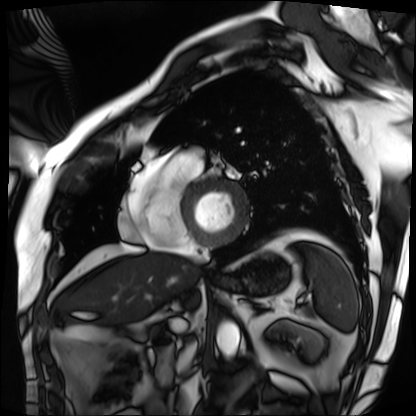
{
  "modality": "cardiac MRI",
  "cohort": "patient"
}